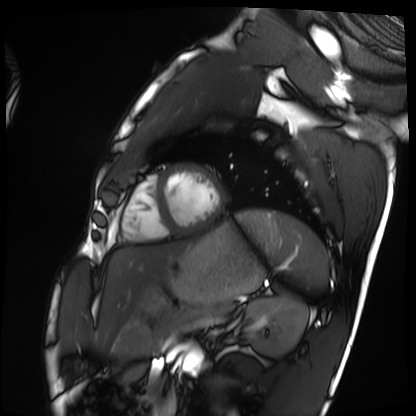
Summary: Cardiac MRI. Subject group: healthy volunteer.